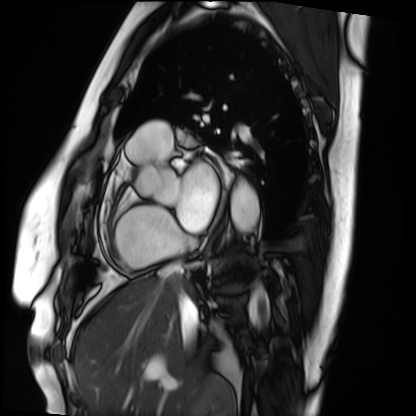
Cardiac MRI. Subject group: patient.